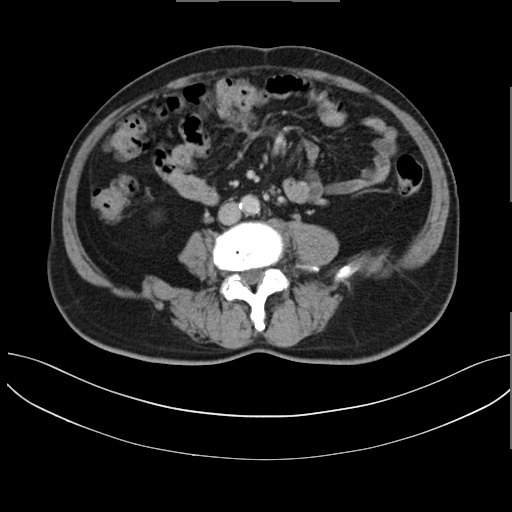
Multiphase abdominal CT, liver, delayed phase.
Patient: male, age 62.
History: prior chemotherapy.